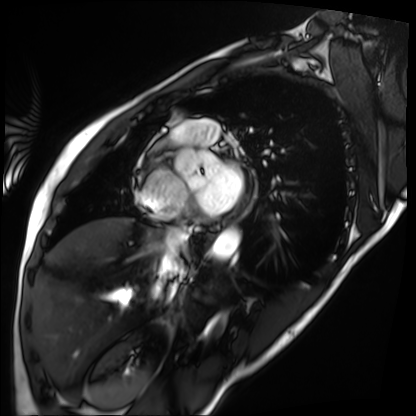
Case summary:
Cardiac MRI. Subject group: patient.